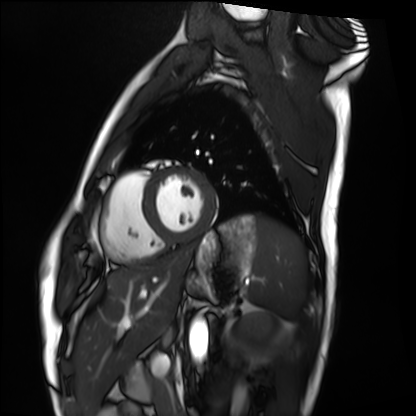
modality: cardiac MRI; subject group: healthy volunteer.